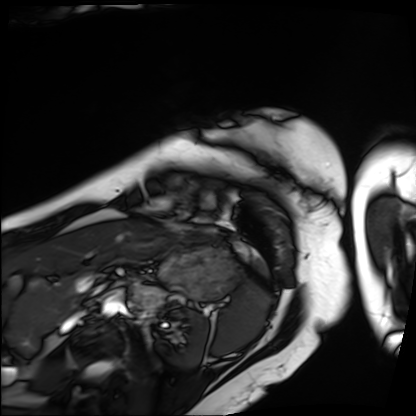
Cardiac MRI.
Subject group: patient.